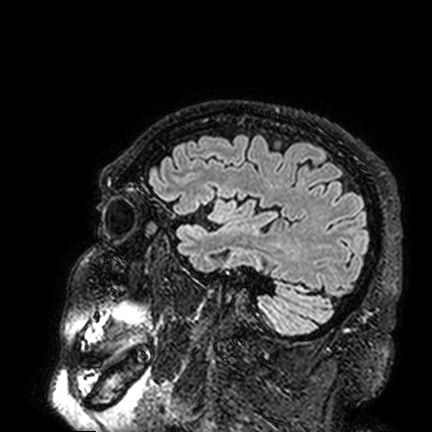
Case summary: 3 Tesla brain MRI. Series: FLAIR VISTA. Study: ring-enhancing brain masses.